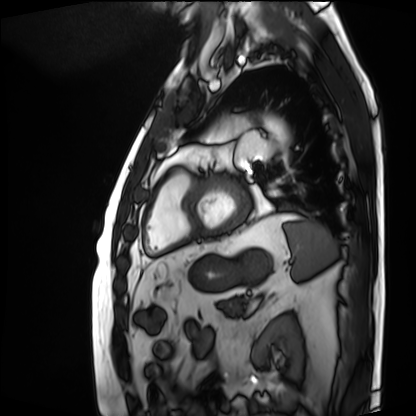
Q: What kind of scan is this?
A: Cardiac MRI.
Subject group: patient.